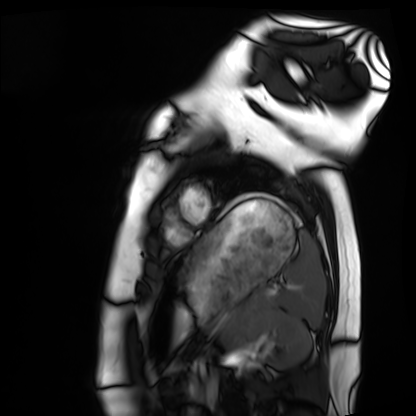
modality: cardiac MRI | subject group: healthy volunteer.